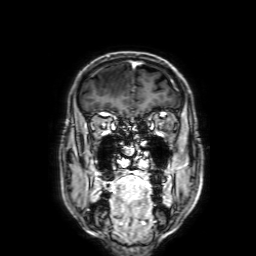
• modality: 3 Tesla brain MRI
• series: 3D T1-weighted with SENSE
• study: ring-enhancing brain masses